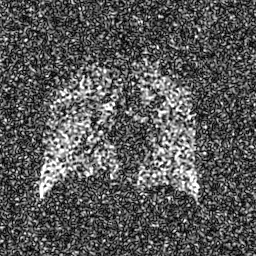
Summary:
Hyperpolarized 129Xe ventilation MRI of the lungs. SNR level 8 of 8 (the deposit holds this scan as its native image and as seven SNR-degraded versions).